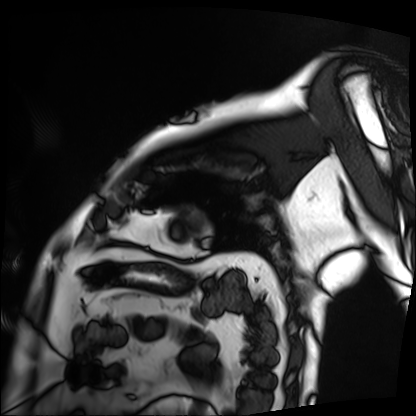
Q: What kind of scan is this?
A: Cardiac MRI.
Subject group: patient.